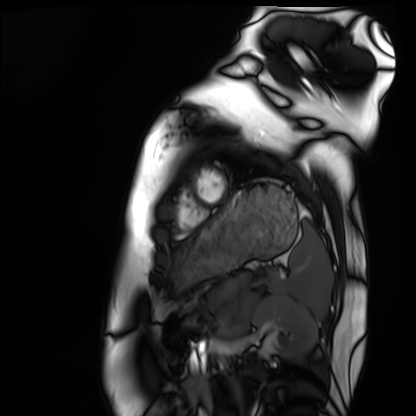
modality: cardiac MRI
cohort: healthy volunteer